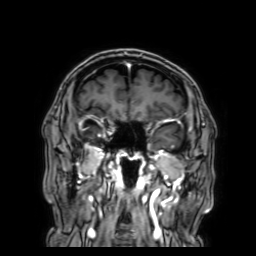
modality = 3 Tesla brain MRI
series = 3D T1-weighted with SENSE
study = ring-enhancing brain masses